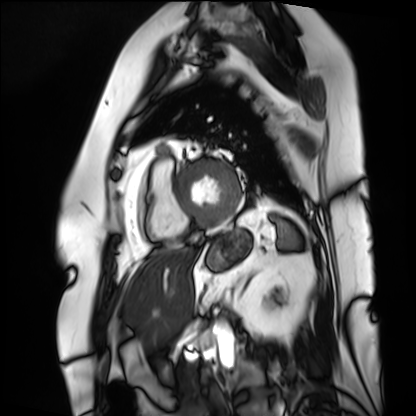
<record>
<modality>cardiac MRI</modality>
<cohort>patient</cohort>
</record>